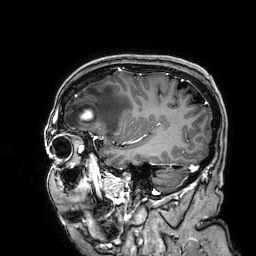
3 Tesla brain MRI.
Study: ring-enhancing brain masses.